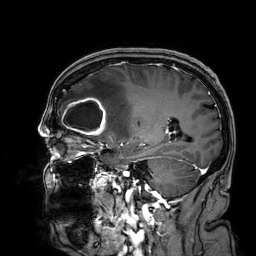
3 Tesla brain MRI. Series: 3D T1-weighted. Study: ring-enhancing brain masses.